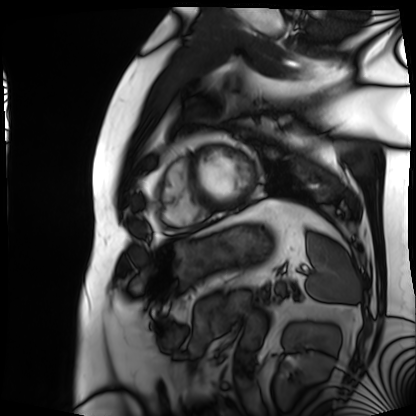
{"modality": "cardiac MRI", "cohort": "patient"}